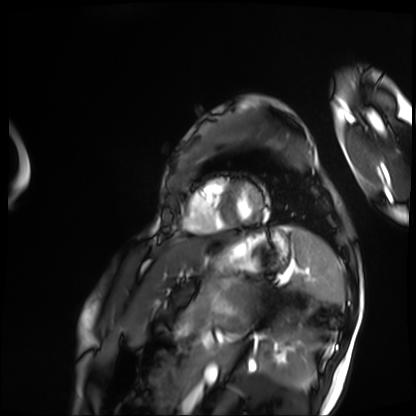
* modality: cardiac MRI
* subject group: patient